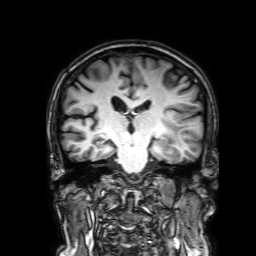
Clinical context: 3 Tesla brain MRI. Series: 3D T1-weighted with SENSE. Study: ring-enhancing brain masses.